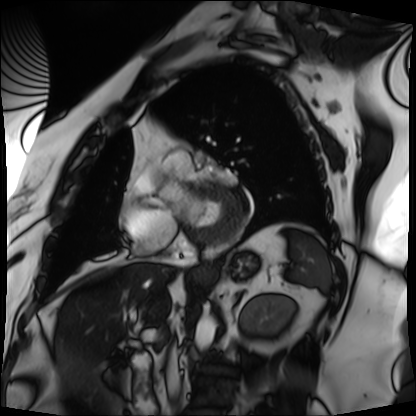
Clinical context: Cardiac MRI. Subject group: patient.